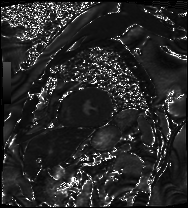
Summary: Cardiac MRI. Subject group: patient.